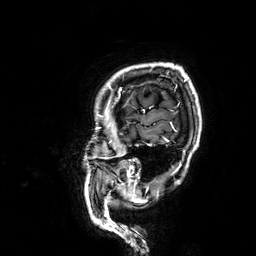
Clinical context:
3 Tesla brain MRI. Series: 3D T1-weighted. Study: ring-enhancing brain masses.